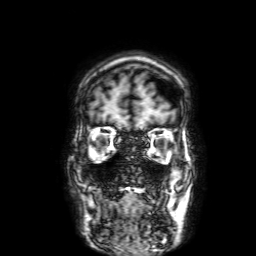
3 Tesla brain MRI. Series: 3D T1-weighted with SENSE. Study: ring-enhancing brain masses.